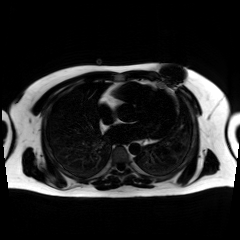
Q: What kind of scan is this?
A: Chemical-shift-encoded cardiac MRI.